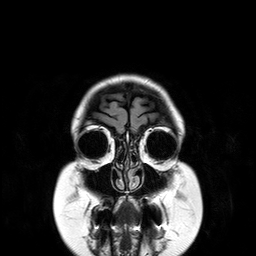
3 Tesla brain MRI.
Series: T2-weighted FLAIR.
Study: ring-enhancing brain masses.